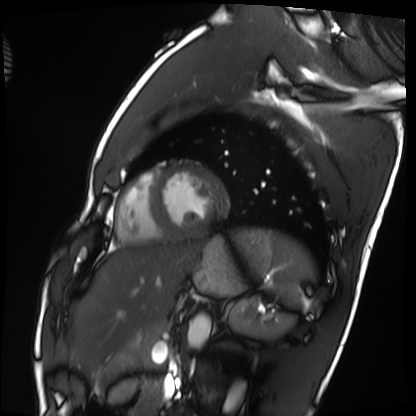
• modality · cardiac MRI
• subject group · healthy volunteer